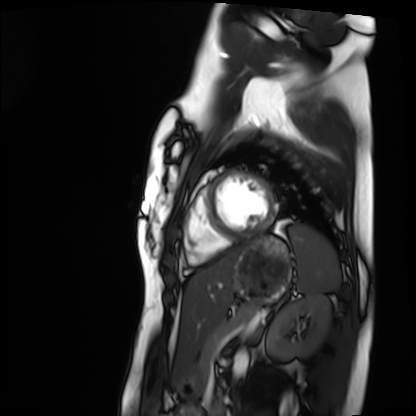
Cardiac MRI. Subject group: healthy volunteer.